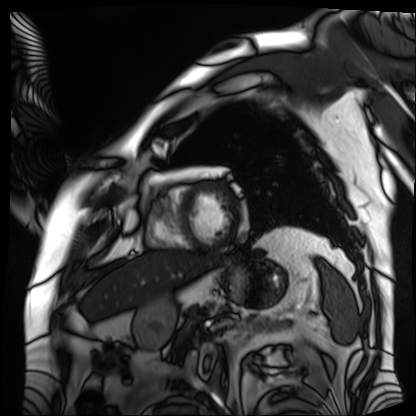
<record>
  <modality>cardiac MRI</modality>
  <cohort>patient</cohort>
</record>